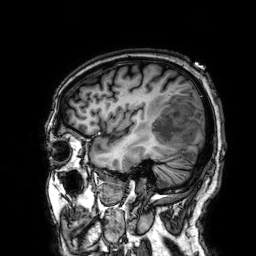
Q: What kind of scan is this?
A: 3 Tesla brain MRI.
Q: Series?
A: 3D T1-weighted.
Study: ring-enhancing brain masses.